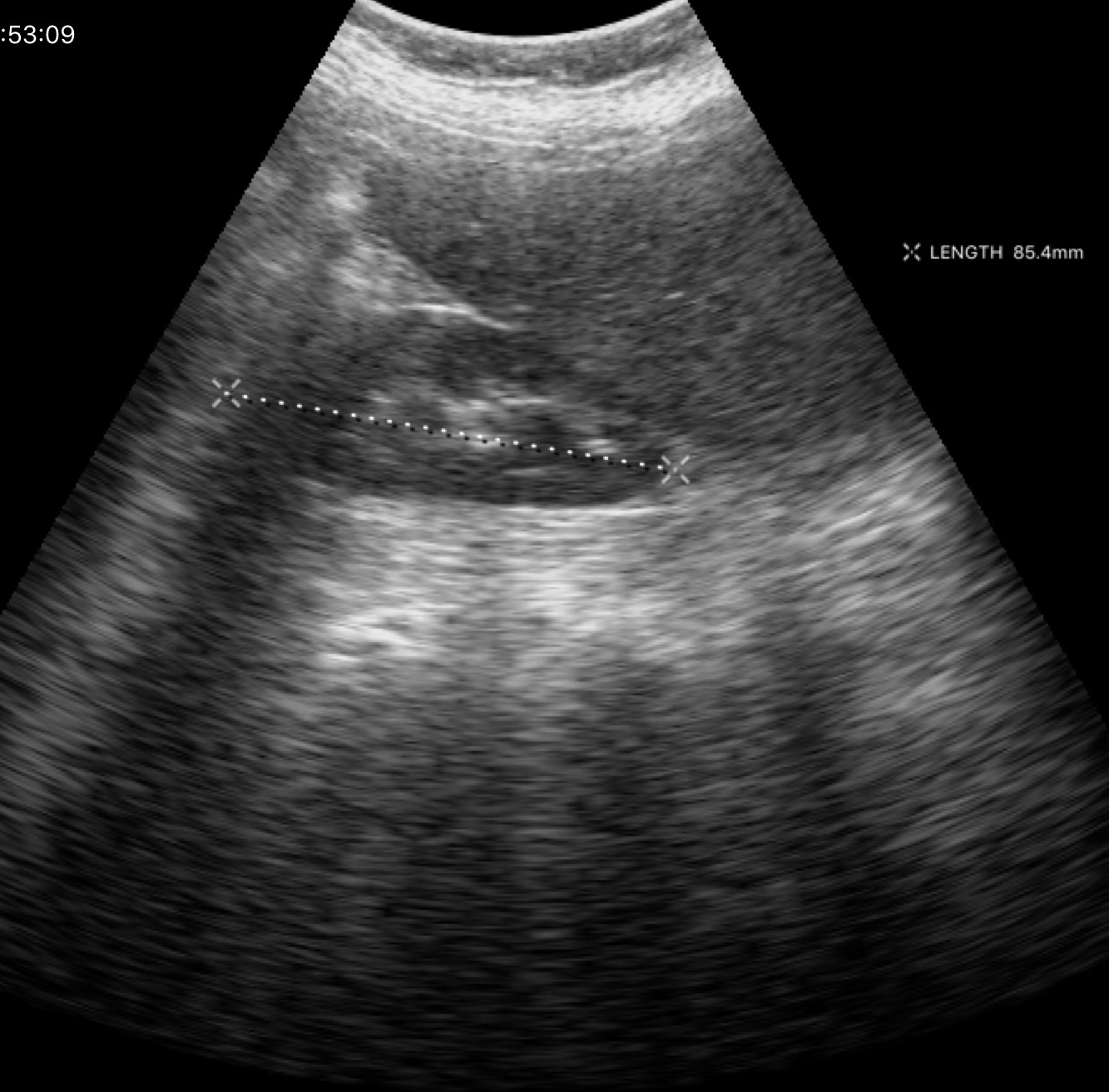
Case summary:
Genitourinary ultrasound.